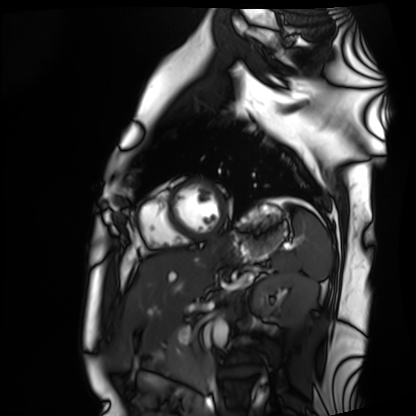
<study>
  <modality>cardiac MRI</modality>
  <cohort>healthy volunteer</cohort>
</study>